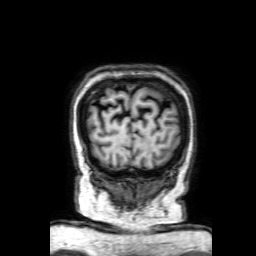
3 Tesla brain MRI. Series: 3D T1-weighted with SENSE. Study: ring-enhancing brain masses.